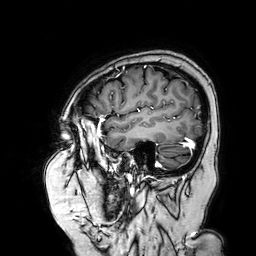
Q: What kind of scan is this?
A: 3 Tesla brain MRI.
Q: Series?
A: 3D T1-weighted turbo field echo with SENSE.
Study: ring-enhancing brain masses.